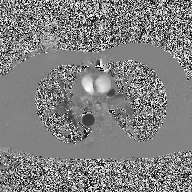
Summary:
2D phase-contrast cine MRI of the ascending aorta, high-resolution GRAPPA acquisition.